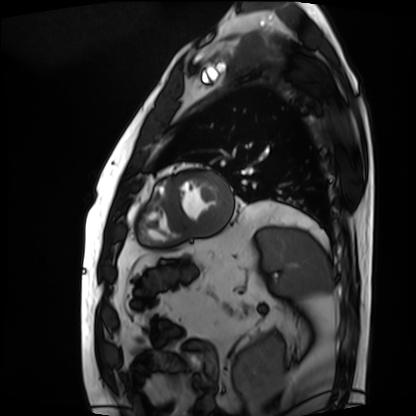
modality = cardiac MRI, subject group = patient.